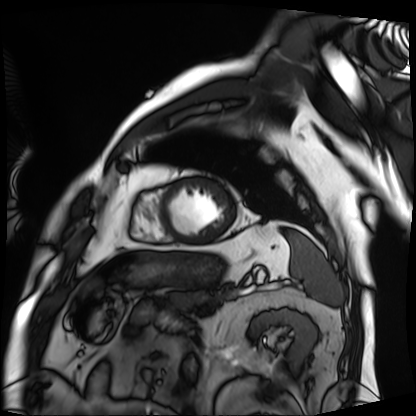
modality: cardiac MRI; subject group: patient.